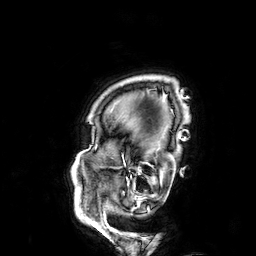
3 Tesla brain MRI. Series: 3D T1-weighted. Study: ring-enhancing brain masses.